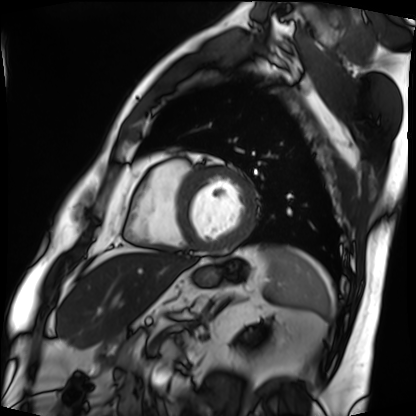
modality = cardiac MRI
subject group = patient